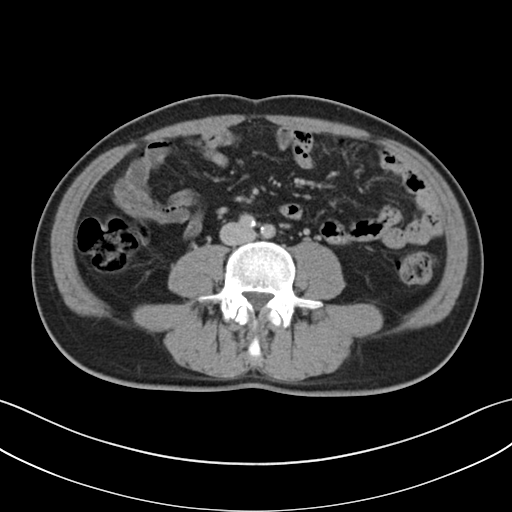
Multiphase abdominal CT, liver, delayed phase. Patient: male, age 48.